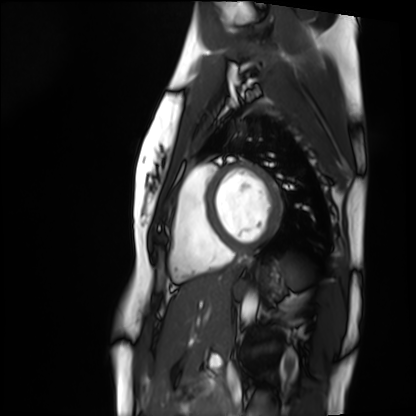
– modality — cardiac MRI
– subject group — healthy volunteer